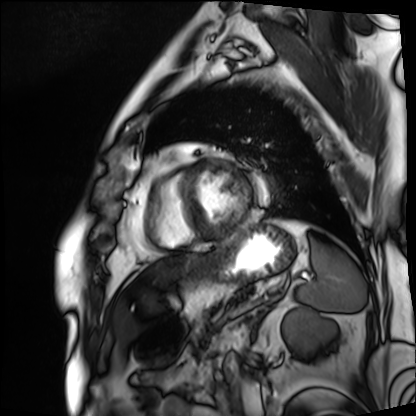
Cardiac MRI.
Subject group: patient.